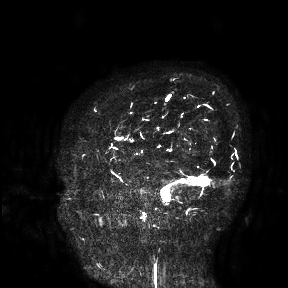
Q: What kind of scan is this?
A: 3 Tesla brain MRI.
Study: ring-enhancing brain masses.